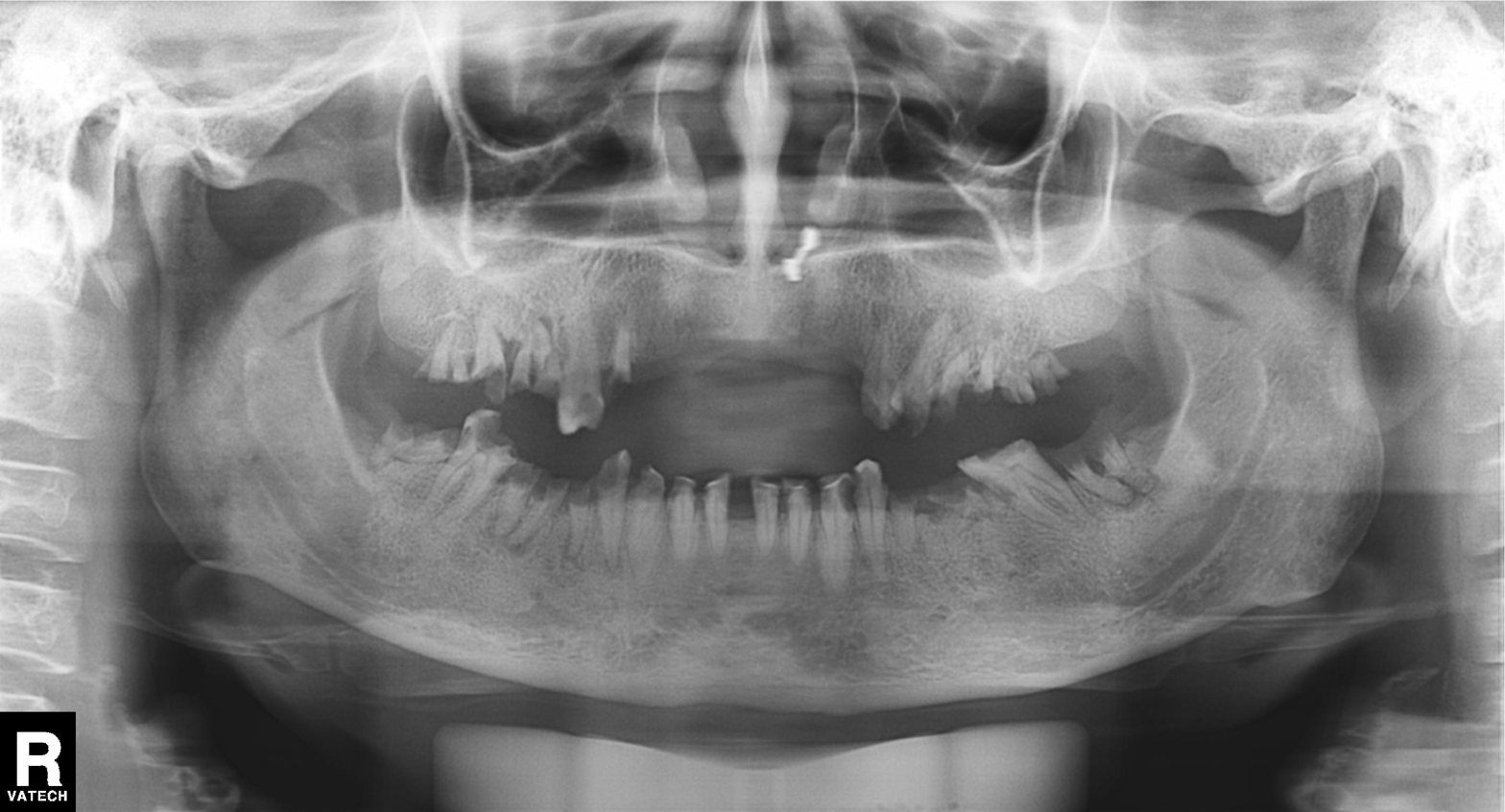
Q: What kind of scan is this?
A: Panoramic dental radiograph (orthopantomogram).
Q: What is the radiographic finding?
A: Alveolar bone loss.